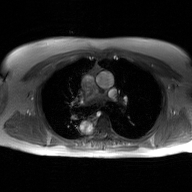
Summary: 2D phase-contrast cine MRI of the ascending aorta, GAN super-resolution reconstruction.